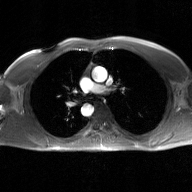
modality — 2D phase-contrast cine MRI of the ascending aorta, GAN super-resolution reconstruction.